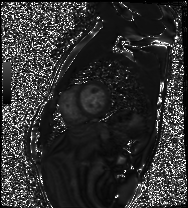
<scan>
  <modality>cardiac MRI</modality>
  <cohort>healthy volunteer</cohort>
</scan>